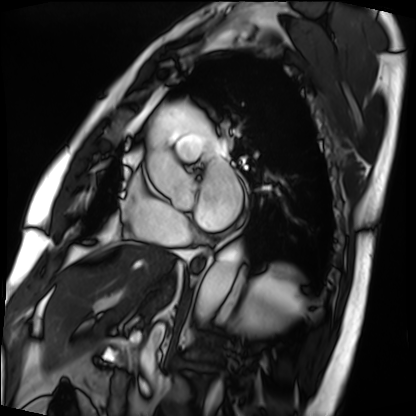
* modality · cardiac MRI
* subject group · patient